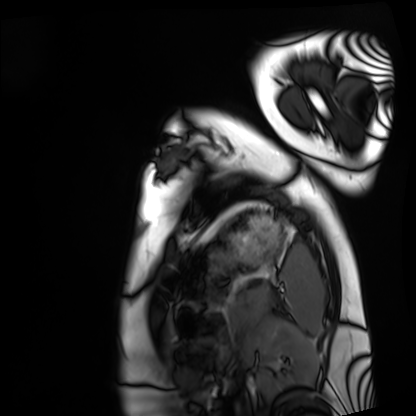
• modality — cardiac MRI
• subject group — healthy volunteer